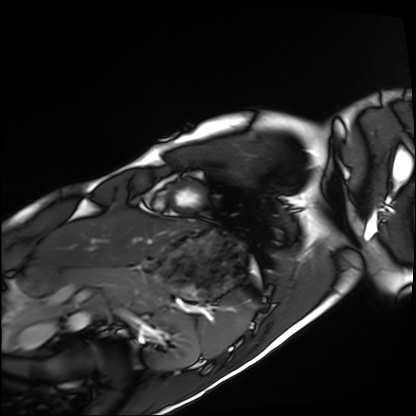
Case:
* modality — cardiac MRI
* subject group — healthy volunteer